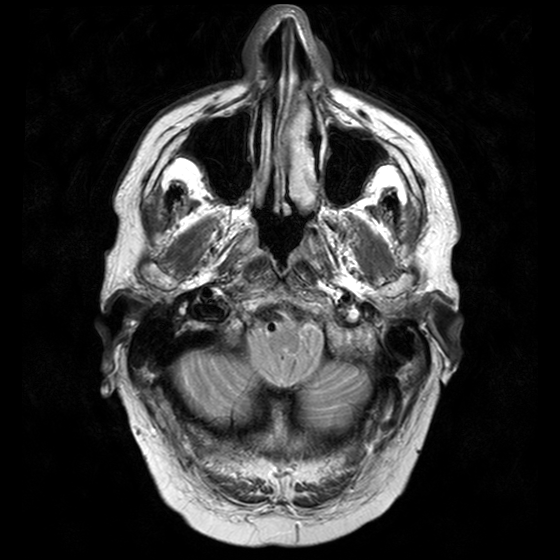
modality: 3 Tesla brain MRI
series: T2-weighted turbo spin echo with CLEAR
study: ring-enhancing brain masses